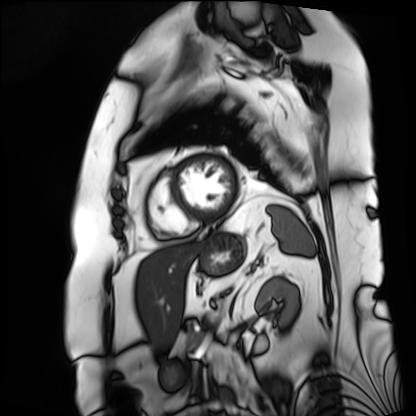
Summary:
Cardiac MRI. Subject group: patient.